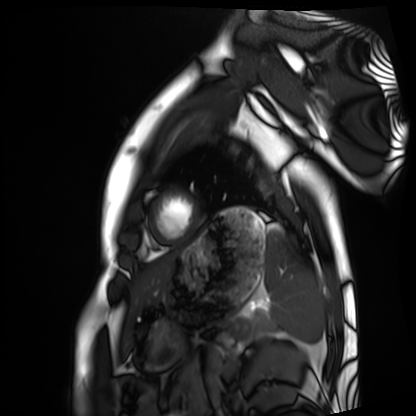
Cardiac MRI. Subject group: healthy volunteer.